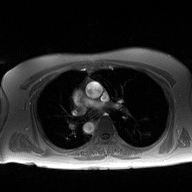
Case:
- modality — 2D phase-contrast cine MRI of the ascending aorta